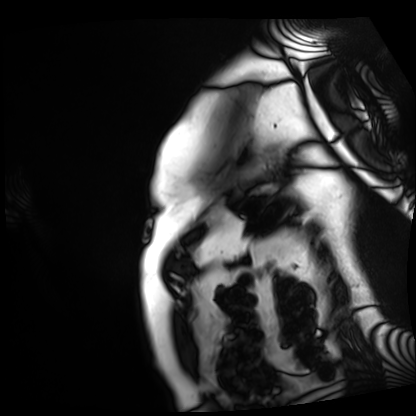
{"modality": "cardiac MRI", "cohort": "patient"}